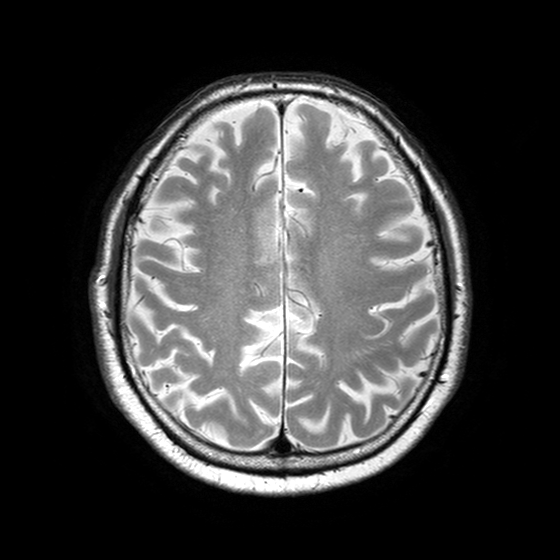
3 Tesla brain MRI.
Series: T2-weighted turbo spin echo with SENSE.
Study: ring-enhancing brain masses.